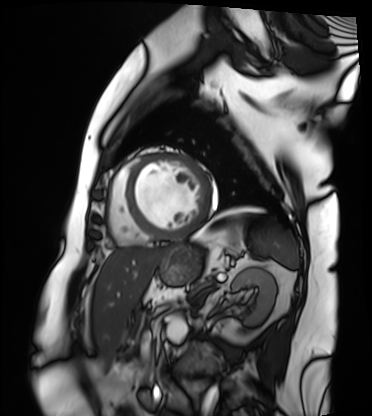
{"modality": "cardiac MRI", "cohort": "patient"}